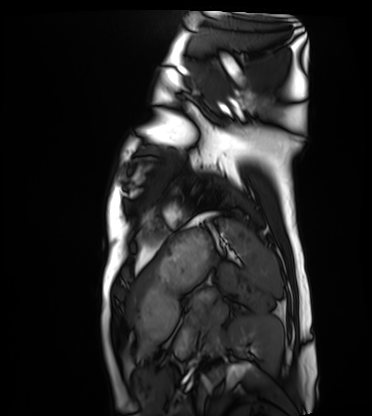
Cardiac MRI. Subject group: healthy volunteer.